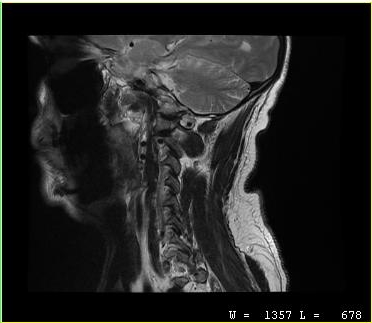
MRI of the cervical spine. Study: cervical spondylosis.